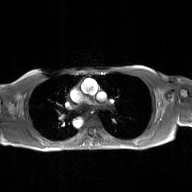
2D phase-contrast cine MRI of the ascending aorta, GAN super-resolution reconstruction.